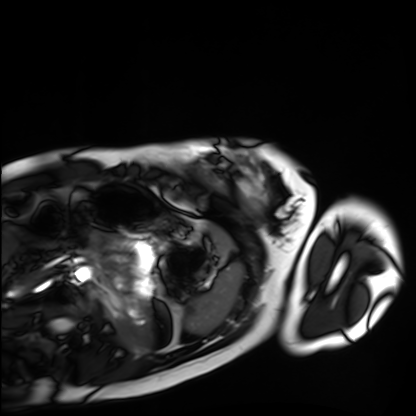
Cardiac MRI. Subject group: healthy volunteer.